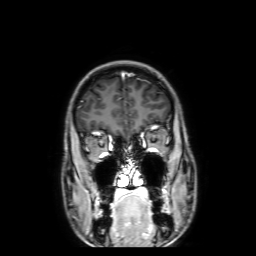
Summary: 3 Tesla brain MRI. Series: 3D T1-weighted with SENSE. Study: ring-enhancing brain masses.